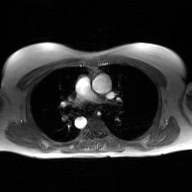
2D phase-contrast cine MRI of the ascending aorta, GAN super-resolution reconstruction.